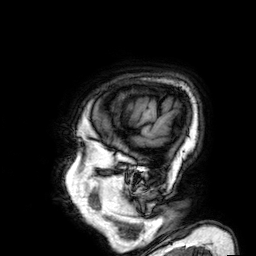
modality: 3 Tesla brain MRI
study: ring-enhancing brain masses